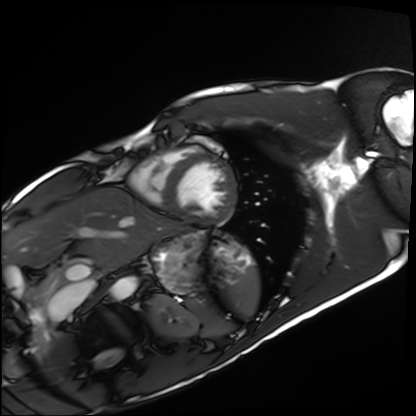
– modality: cardiac MRI
– subject group: healthy volunteer